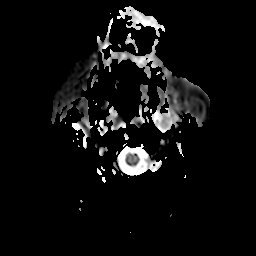
<case>
<modality>
  <type>brain MRI</type>
  <field_strength>3T</field_strength>
</modality>
<study_topic>ring-enhancing brain masses</study_topic>
</case>